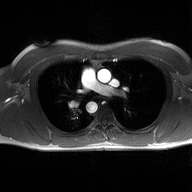
2D phase-contrast cine MRI of the ascending aorta, high-resolution GRAPPA acquisition.